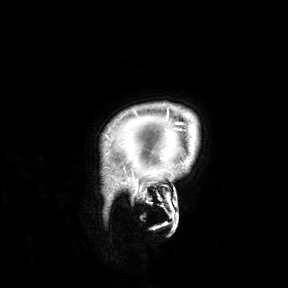
modality: 3 Tesla brain MRI; study: ring-enhancing brain masses.